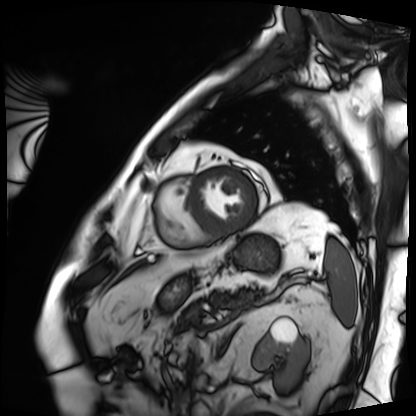
{
  "modality": "cardiac MRI",
  "cohort": "patient"
}